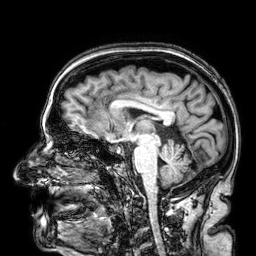
{
  "modality": {
    "type": "brain MRI",
    "field_strength": "3T"
  },
  "study_topic": "ring-enhancing brain masses"
}